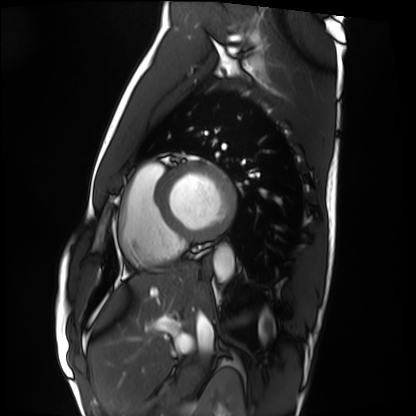
{"modality": "cardiac MRI", "cohort": "healthy volunteer"}